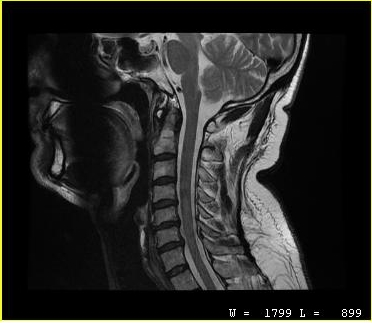
modality = MRI of the cervical spine; study = cervical spondylosis.